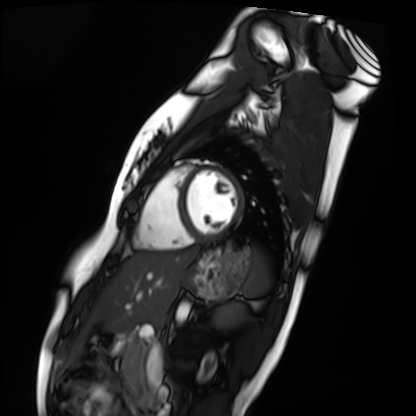
modality=cardiac MRI
subject group=healthy volunteer